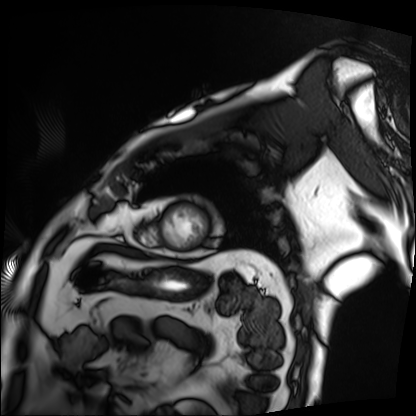
• modality: cardiac MRI
• subject group: patient